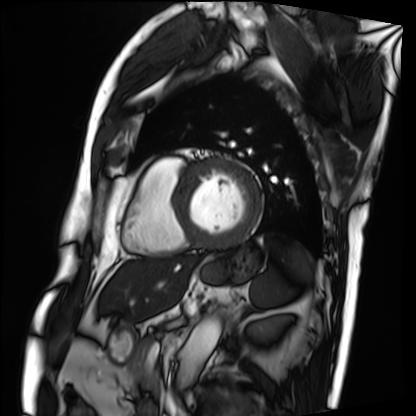
Summary: Cardiac MRI. Subject group: patient.